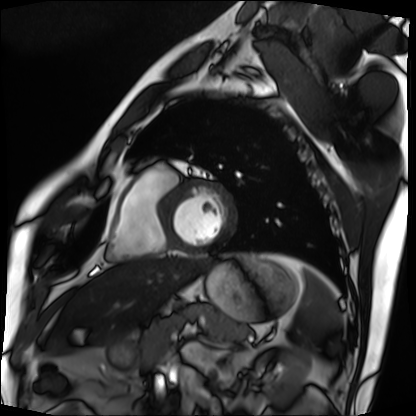
modality = cardiac MRI, subject group = patient.